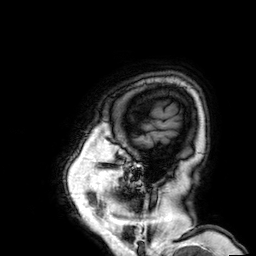
3 Tesla brain MRI.
Series: 3D T1-weighted.
Study: ring-enhancing brain masses.